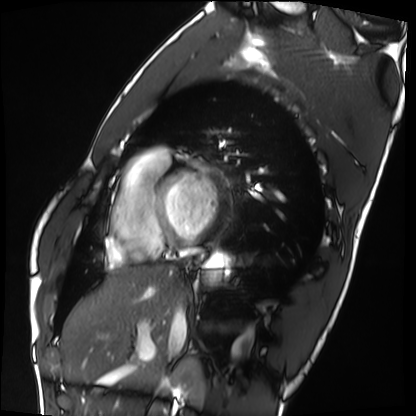
Cardiac MRI. Subject group: healthy volunteer.